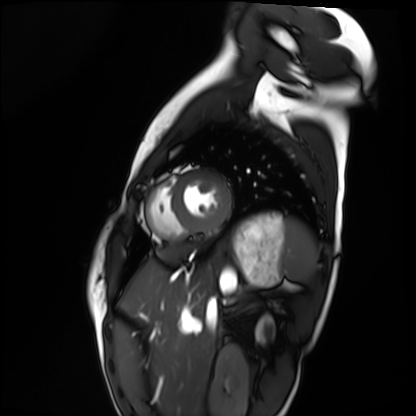
Q: What kind of scan is this?
A: Cardiac MRI.
Subject group: healthy volunteer.